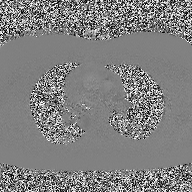
| field | value |
|---|---|
| modality | 2D phase-contrast cine MRI of the ascending aorta |